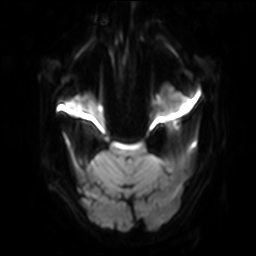
Q: What kind of scan is this?
A: 3 Tesla brain MRI.
Q: Series?
A: Diffusion-weighted imaging with SENSE (WIP).
Study: ring-enhancing brain masses.